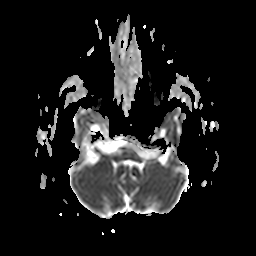
Case summary:
3 Tesla brain MRI. Series: apparent diffusion coefficient (ADC) map. Study: ring-enhancing brain masses.